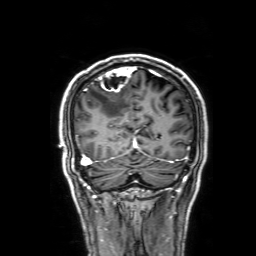
Summary:
3 Tesla brain MRI. Series: 3D T1-weighted with SENSE. Study: ring-enhancing brain masses.